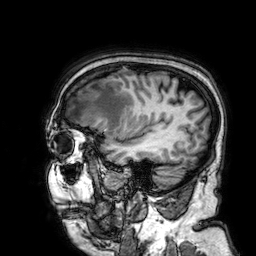
modality=3 Tesla brain MRI
series=3D T1-weighted
study=ring-enhancing brain masses